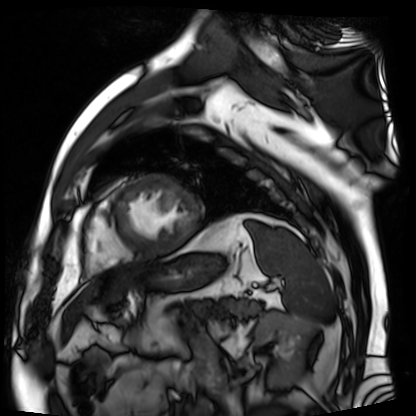
modality = cardiac MR image of the myocardium, subject cohort = cardiac patient.